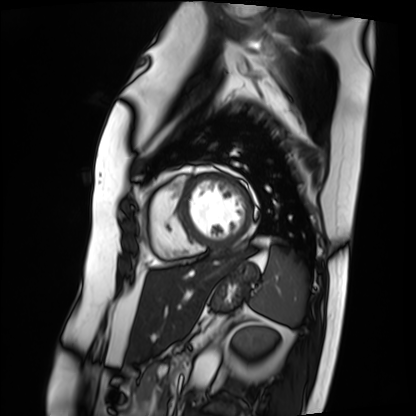
Q: What kind of scan is this?
A: Cardiac MRI.
Subject group: patient.